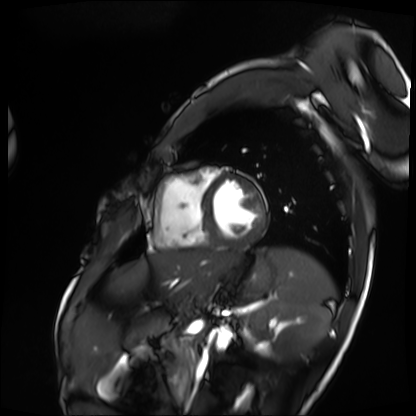
modality: cardiac MRI
cohort: patient